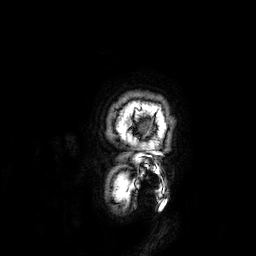
3 Tesla brain MRI. Series: 3D T1-weighted. Study: ring-enhancing brain masses.